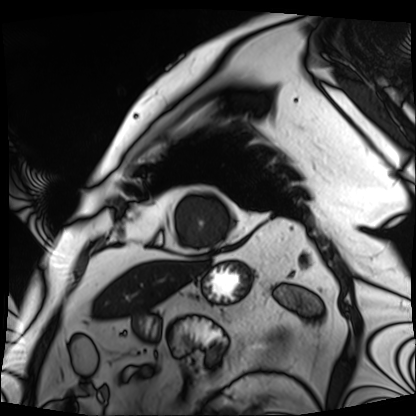
Cardiac MRI.
Subject group: patient.